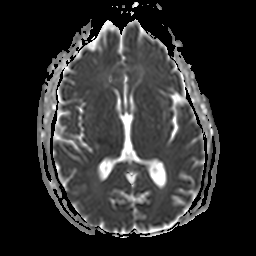
– modality · 3 Tesla brain MRI
– series · apparent diffusion coefficient (ADC) map
– study · ring-enhancing brain masses